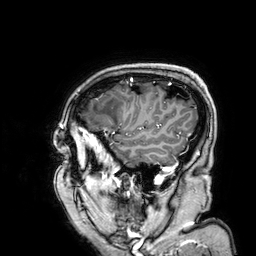
Q: What kind of scan is this?
A: 3 Tesla brain MRI.
Q: Series?
A: 3D T1-weighted.
Study: ring-enhancing brain masses.